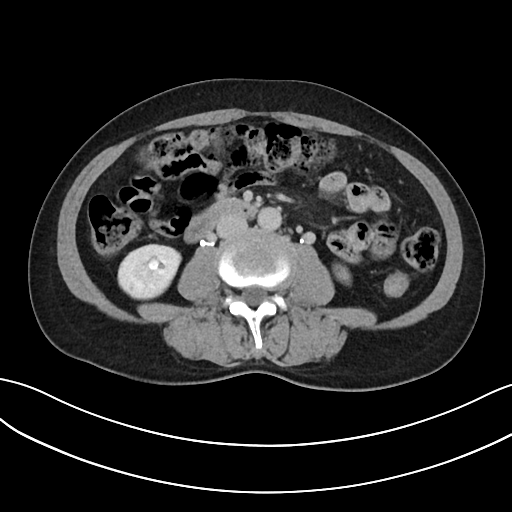
Multiphase abdominal CT, liver, delayed phase. Patient: female, age 54.